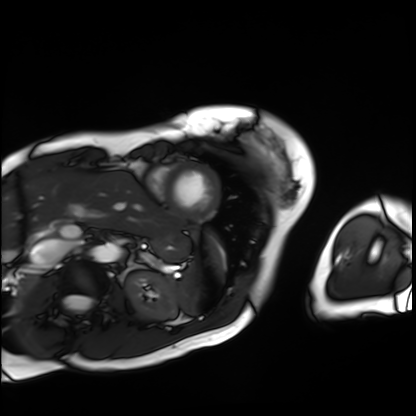
Cardiac MRI. Subject group: patient.